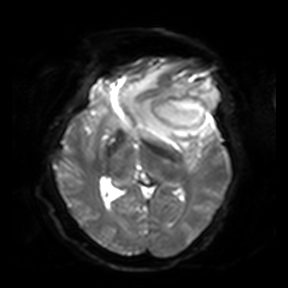
3 Tesla brain MRI. Series: diffusion-weighted imaging. Study: ring-enhancing brain masses.